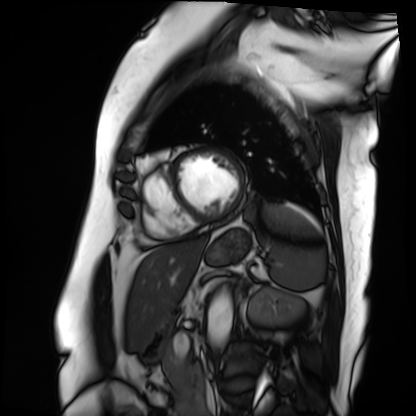
modality: cardiac MRI | subject group: patient.